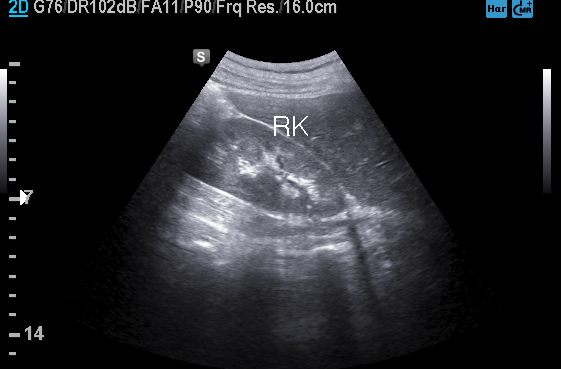
{"modality": {"type": "genitourinary ultrasound"}}